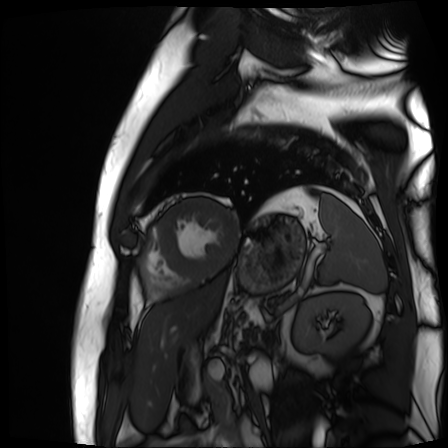
Cardiac MR image of the myocardium.
Subject cohort: cardiac patient.